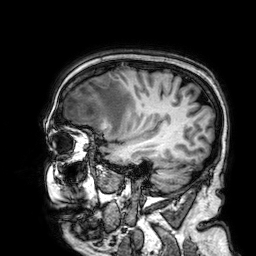
modality: 3 Tesla brain MRI
series: 3D T1-weighted
study: ring-enhancing brain masses